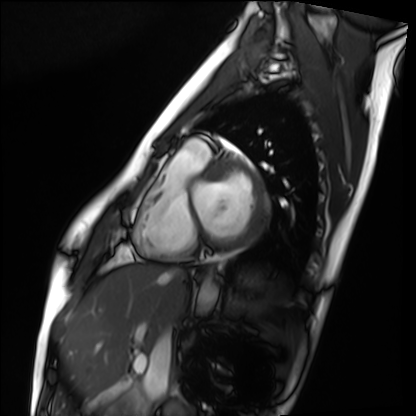
Case summary: Cardiac MRI. Subject group: healthy volunteer.